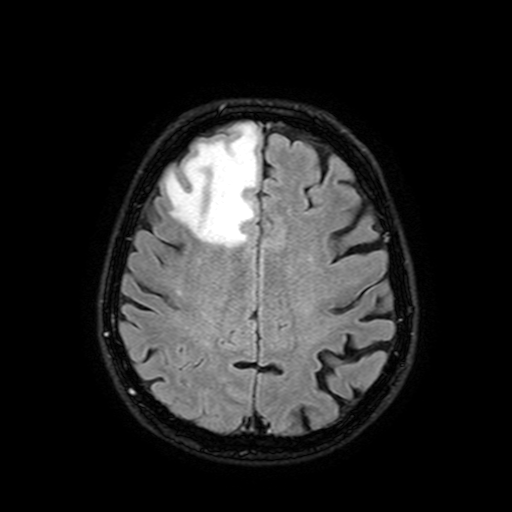
3 Tesla brain MRI. Series: FLAIR with SPAIR, 3 mm. Study: ring-enhancing brain masses.